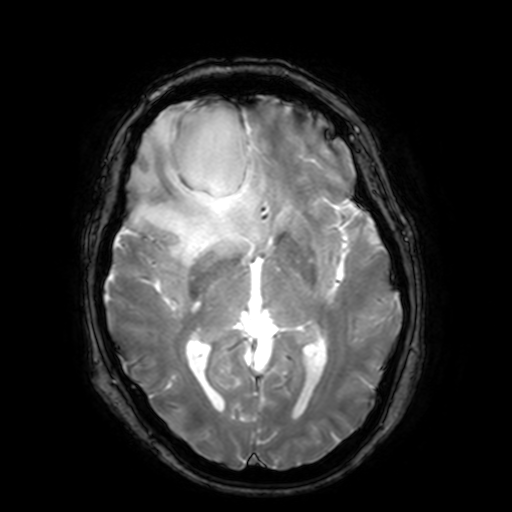
3 Tesla brain MRI.
Series: T2-weighted fast field echo with SENSE.
Study: ring-enhancing brain masses.